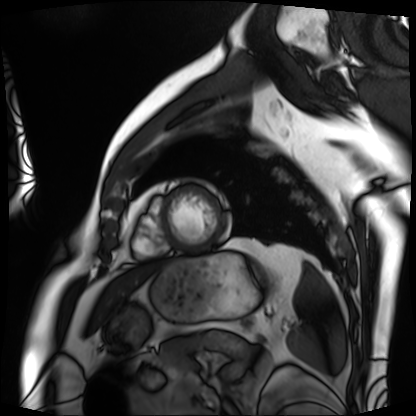
Summary:
Cardiac MRI. Subject group: patient.